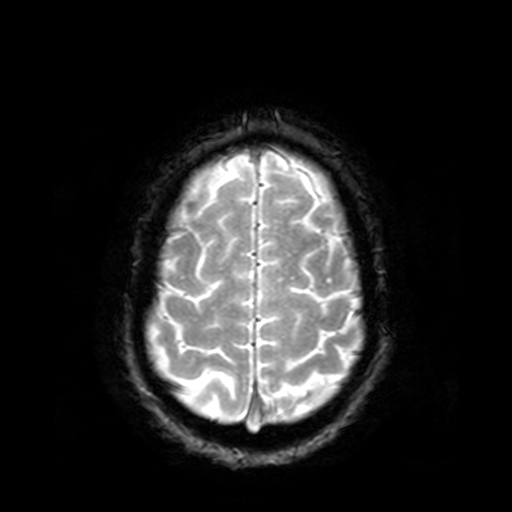
Summary:
3 Tesla brain MRI. Series: T2-weighted fast field echo. Study: ring-enhancing brain masses.